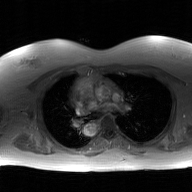
  modality:
    type: 2D phase-contrast cine MRI
    region: ascending aorta
    reconstruction: GAN super-resolution reconstruction